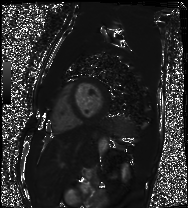
Q: What kind of scan is this?
A: Cardiac MRI.
Subject group: healthy volunteer.